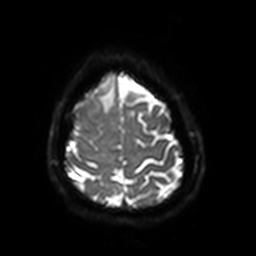
* modality: 3 Tesla brain MRI
* series: diffusion-weighted imaging with SENSE (WIP)
* study: ring-enhancing brain masses